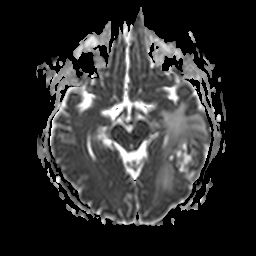
<case>
  <modality>
    <type>brain MRI</type>
    <field_strength>3T</field_strength>
  </modality>
  <series>apparent diffusion coefficient (ADC) map</series>
  <study_topic>ring-enhancing brain masses</study_topic>
</case>